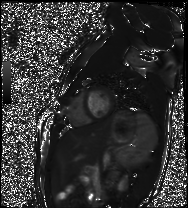
* modality: cardiac MR image of the myocardium
* subject cohort: healthy volunteer